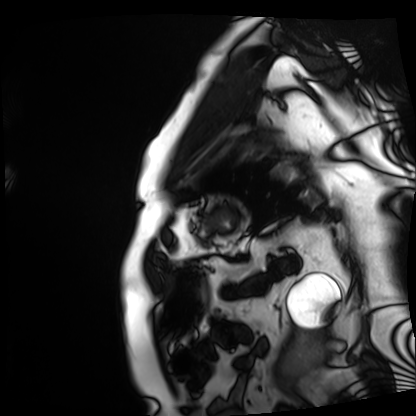
Cardiac MRI. Subject group: patient.